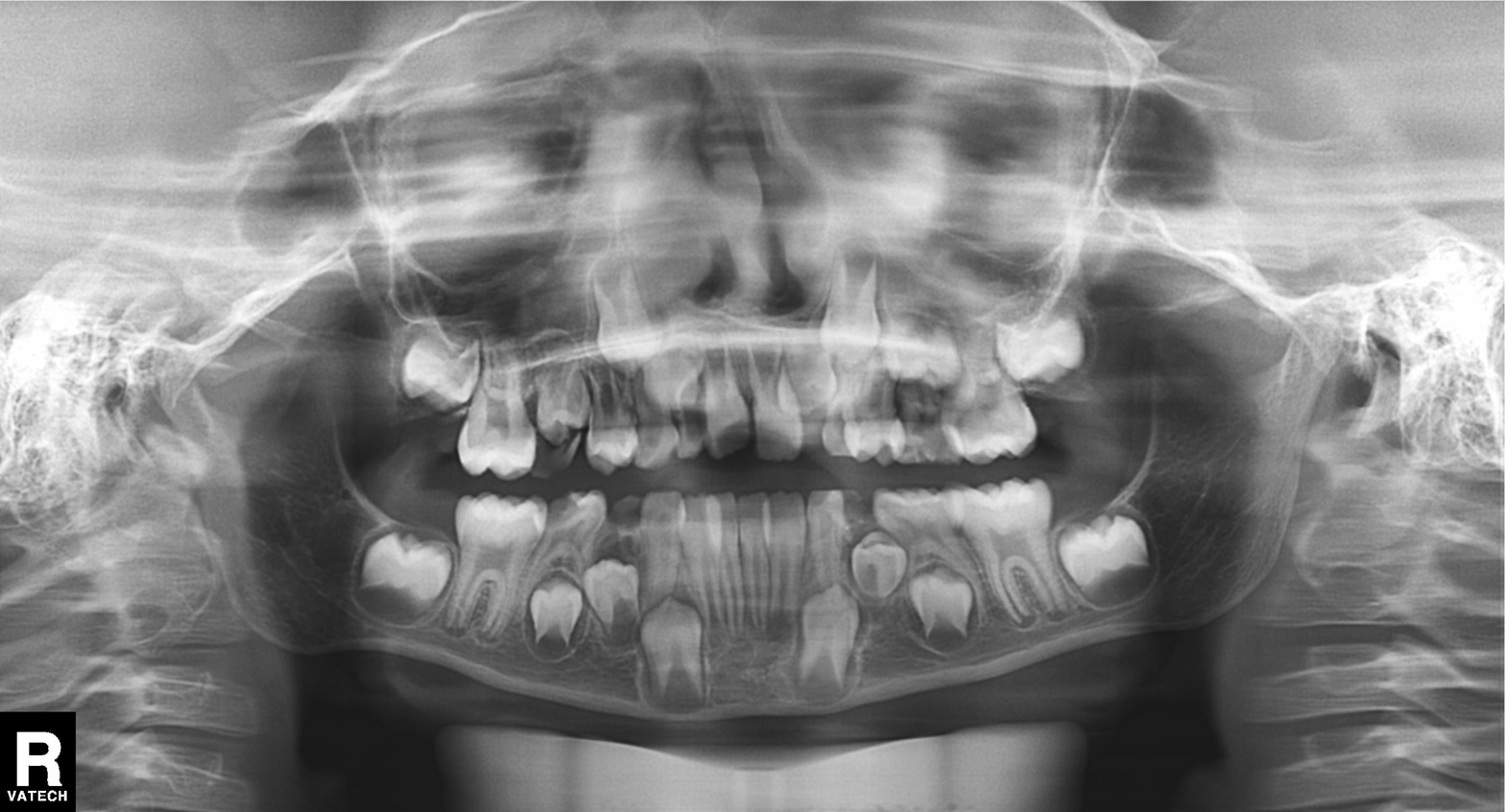
Panoramic dental radiograph (orthopantomogram).
Finding: alveolar bone loss.